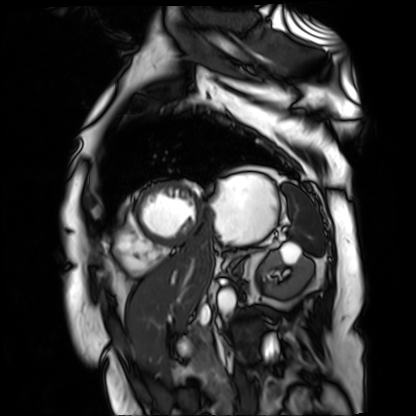
Q: What kind of scan is this?
A: Cardiac MR image of the myocardium.
Subject cohort: cardiac patient.